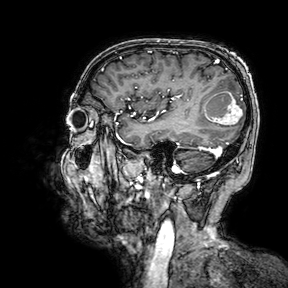
3 Tesla brain MRI. Series: 3D T1-weighted turbo field echo with SENSE. Study: ring-enhancing brain masses.